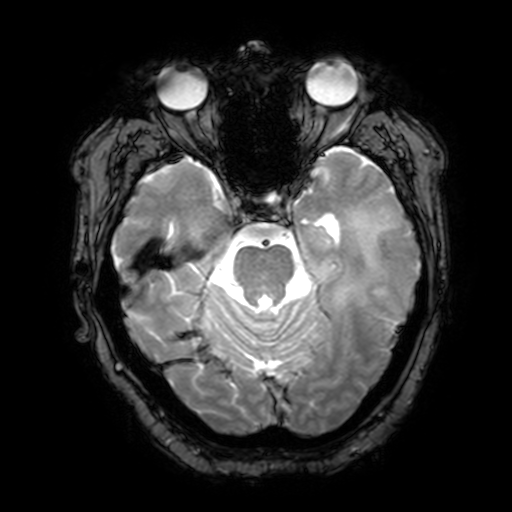
Summary: 3 Tesla brain MRI. Series: T2-weighted fast field echo with SENSE. Study: ring-enhancing brain masses.